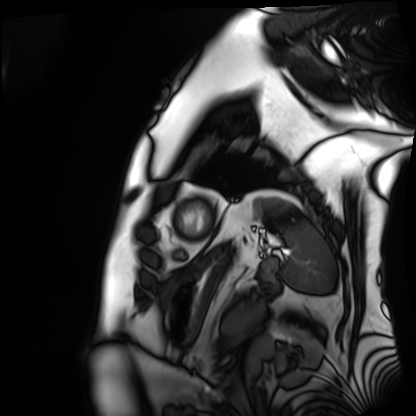
Cardiac MRI.
Subject group: patient.